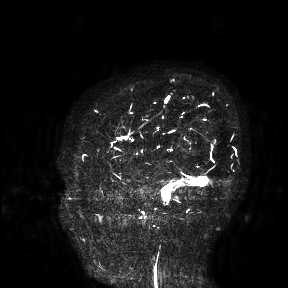
Summary: 3 Tesla brain MRI. Study: ring-enhancing brain masses.